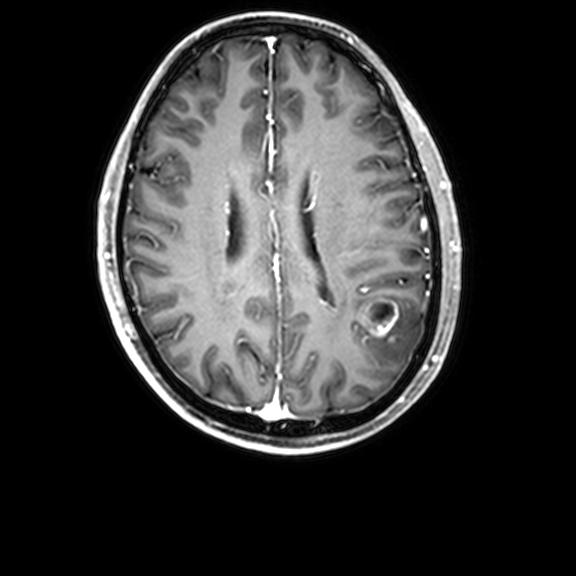
modality = 3 Tesla brain MRI; series = 3D T1-weighted with CLEAR; study = ring-enhancing brain masses.